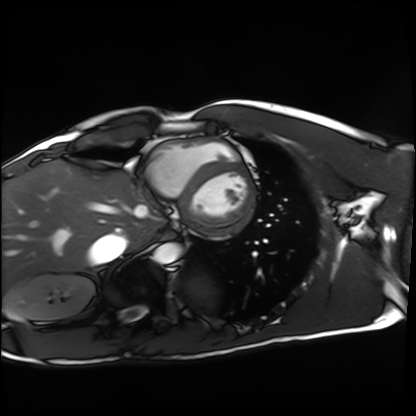
Cardiac MRI.
Subject group: healthy volunteer.